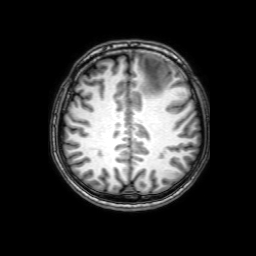
3 Tesla brain MRI.
Series: 3D T1-weighted with SENSE.
Study: ring-enhancing brain masses.